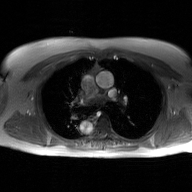
| field | value |
|---|---|
| modality | 2D phase-contrast cine MRI of the ascending aorta, GAN super-resolution reconstruction |